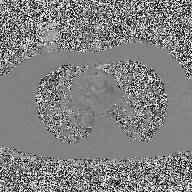
modality = 2D phase-contrast cine MRI of the ascending aorta.